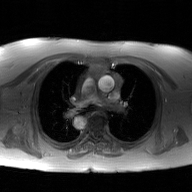
modality = 2D phase-contrast cine MRI of the ascending aorta, GAN super-resolution reconstruction